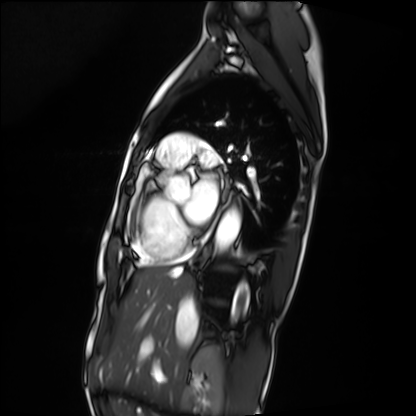
Summary:
Cardiac MRI. Subject group: patient.